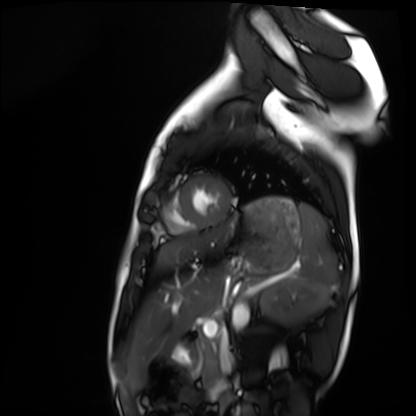
– modality: cardiac MRI
– subject group: healthy volunteer